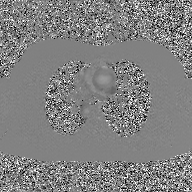
| field | value |
|---|---|
| modality | 2D phase-contrast cine MRI of the ascending aorta, GAN super-resolution reconstruction |